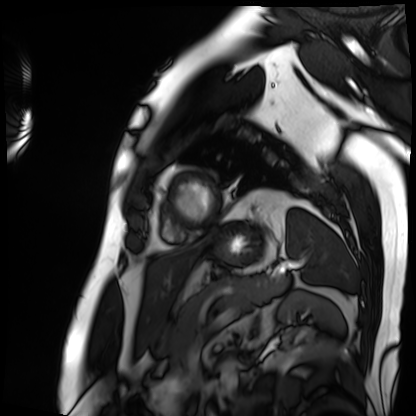
{"modality": "cardiac MRI", "cohort": "patient"}